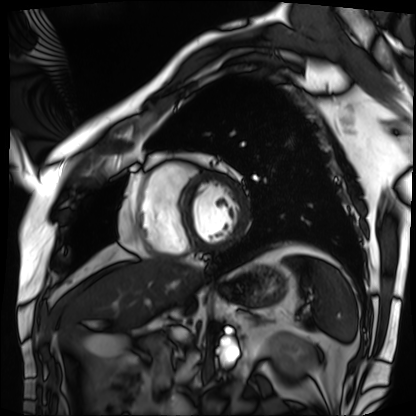
Cardiac MRI. Subject group: patient.